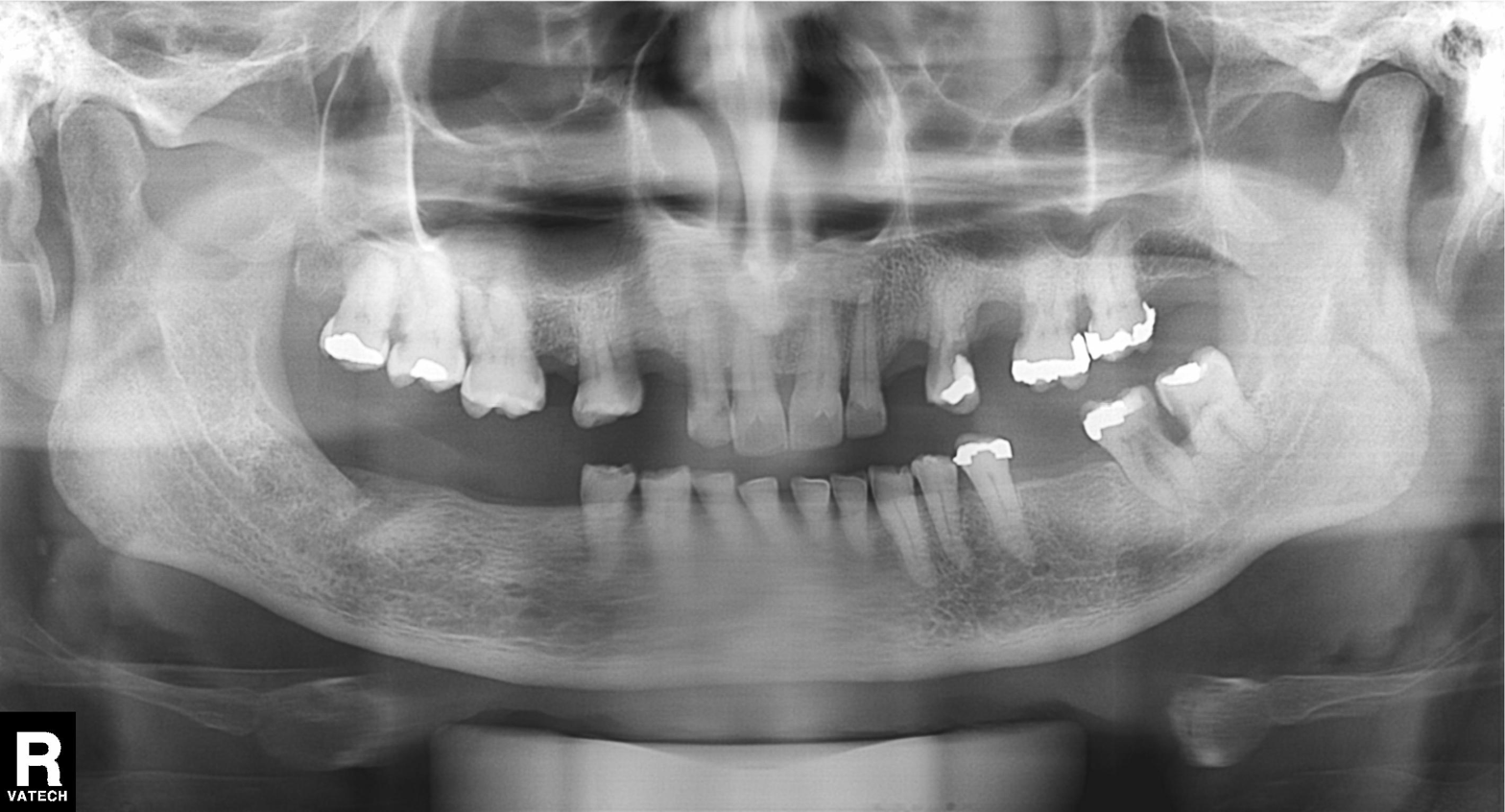
Panoramic dental radiograph (orthopantomogram).
Finding: tooth impaction.